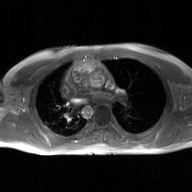
modality: 2D phase-contrast cine MRI of the ascending aorta, GAN super-resolution reconstruction.